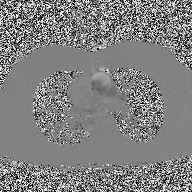
2D phase-contrast cine MRI of the ascending aorta, high-resolution GRAPPA acquisition.